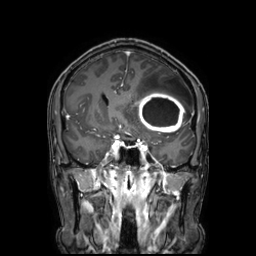
• modality — 3 Tesla brain MRI
• series — 3D T1-weighted TFE with SENSE
• study — ring-enhancing brain masses